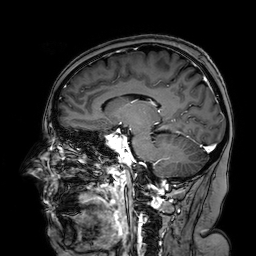
3 Tesla brain MRI.
Series: 3D T1-weighted turbo field echo with SENSE.
Study: ring-enhancing brain masses.